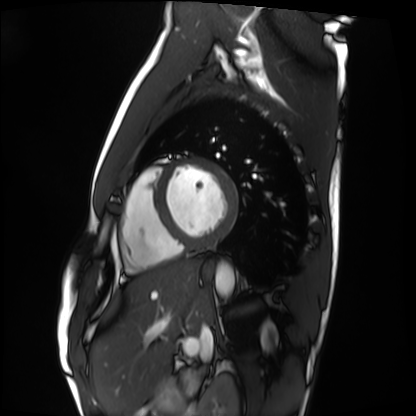
Q: What kind of scan is this?
A: Cardiac MRI.
Subject group: healthy volunteer.